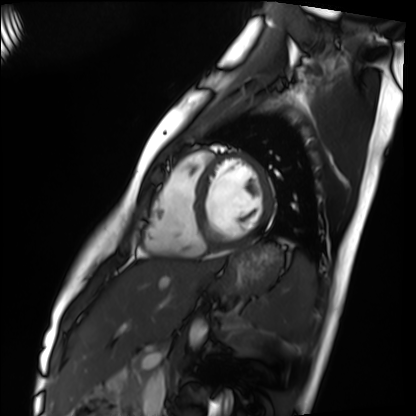
Cardiac MRI.
Subject group: healthy volunteer.